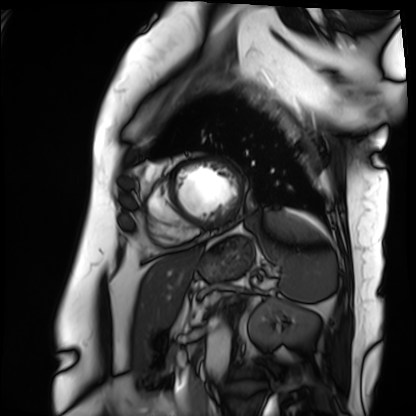
modality: cardiac MRI | subject group: patient.